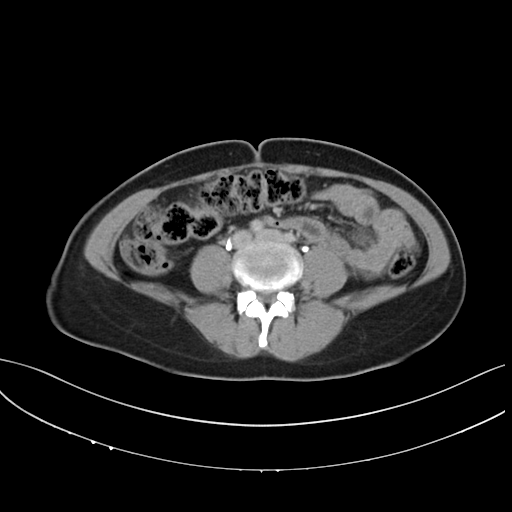
Multiphase abdominal CT, liver, delayed phase.
Patient: female, age 42.